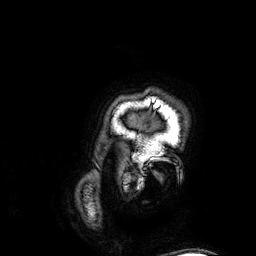
3 Tesla brain MRI. Series: 3D T1-weighted. Study: ring-enhancing brain masses.